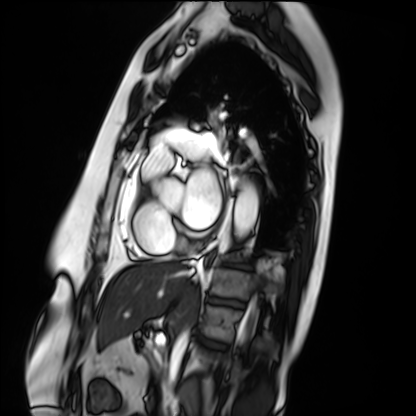
Q: What kind of scan is this?
A: Cardiac MRI.
Subject group: patient.